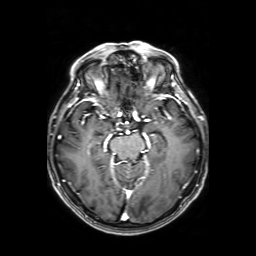
3 Tesla brain MRI. Series: axial T1-weighted fusion image. Study: ring-enhancing brain masses.